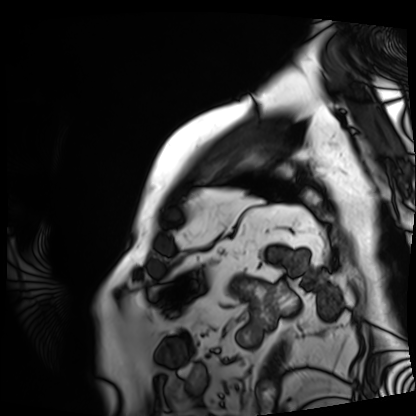
Q: What kind of scan is this?
A: Cardiac MRI.
Subject group: patient.